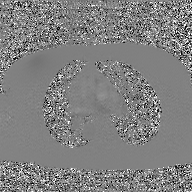
Summary:
2D phase-contrast cine MRI of the ascending aorta, GAN super-resolution reconstruction.